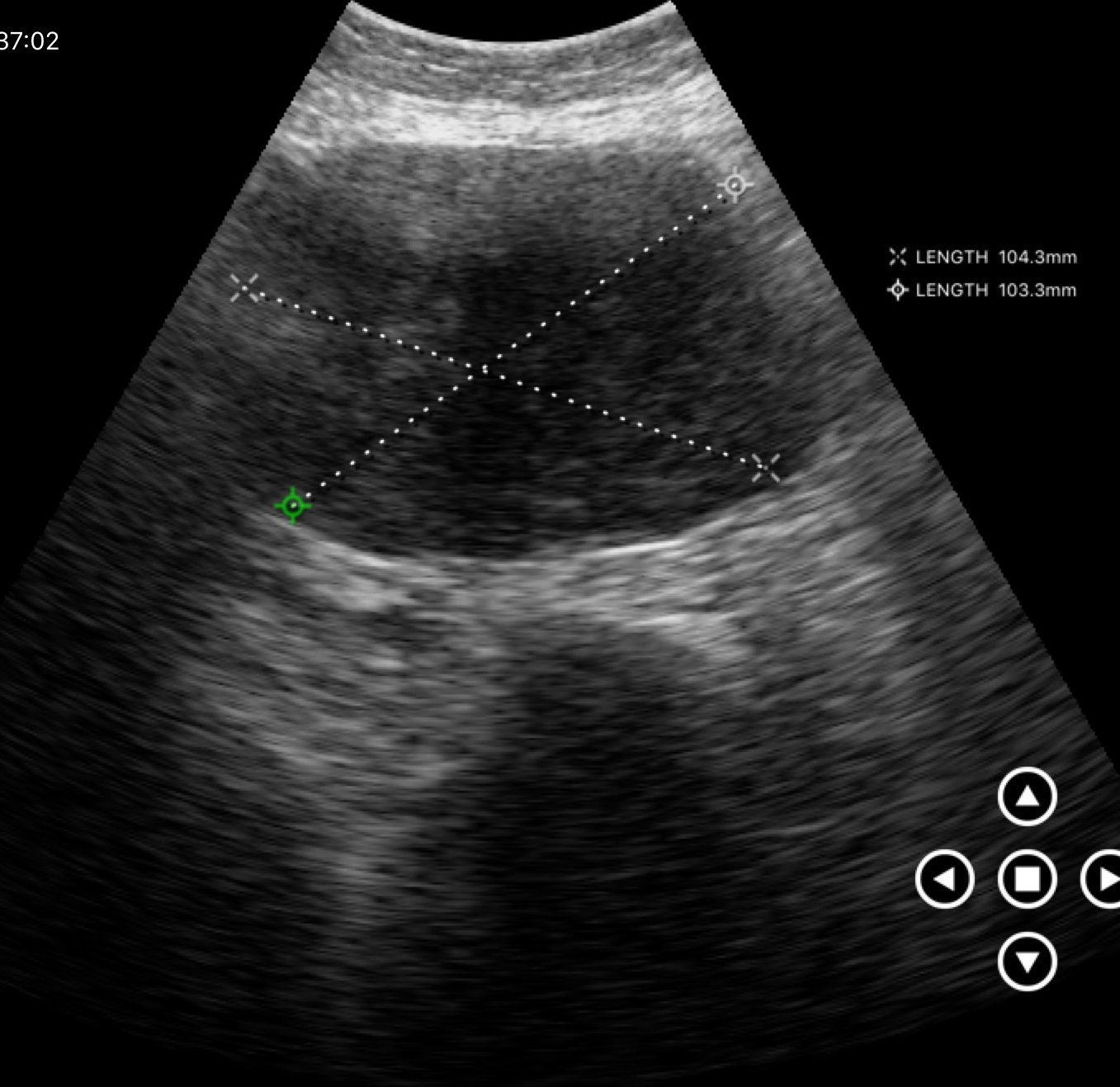
modality = genitourinary ultrasound.